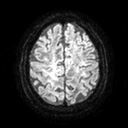
3 Tesla brain MRI.
Study: ring-enhancing brain masses.